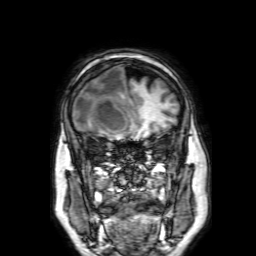
3 Tesla brain MRI. Series: 3D T1-weighted with SENSE. Study: ring-enhancing brain masses.